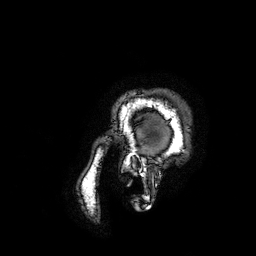
3 Tesla brain MRI. Series: 3D T1-weighted turbo field echo with SENSE. Study: ring-enhancing brain masses.